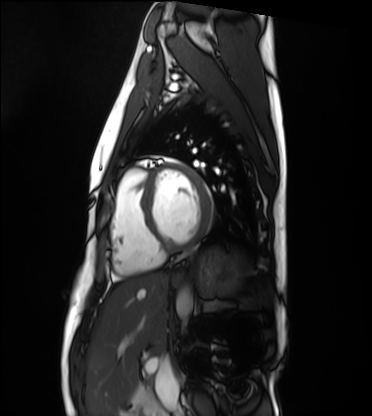
Summary:
Cardiac MRI. Subject group: healthy volunteer.